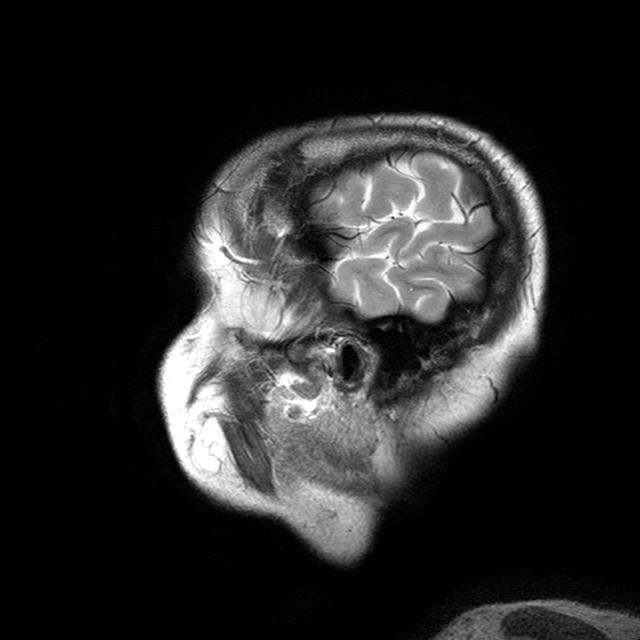
3 Tesla brain MRI.
Series: T2-weighted turbo spin echo with CLEAR.
Study: ring-enhancing brain masses.